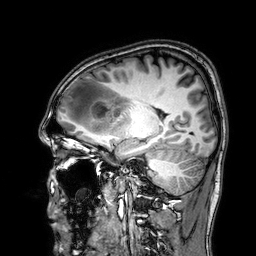
  modality:
    type: brain MRI
    field_strength: 3T
  series: 3D T1-weighted
  study_topic: ring-enhancing brain masses